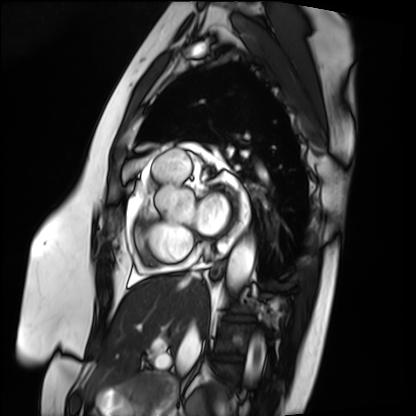
{"modality": "cardiac MRI", "cohort": "patient"}